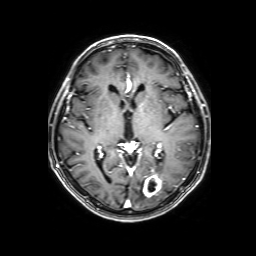
3 Tesla brain MRI. Series: 3D T1-weighted with SENSE. Study: ring-enhancing brain masses.